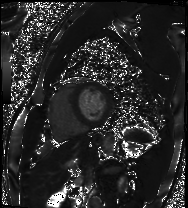
– modality · cardiac MRI
– subject group · patient